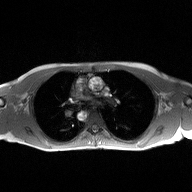
Summary: 2D phase-contrast cine MRI of the ascending aorta, high-resolution GRAPPA acquisition.